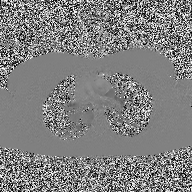
modality: 2D phase-contrast cine MRI of the ascending aorta.